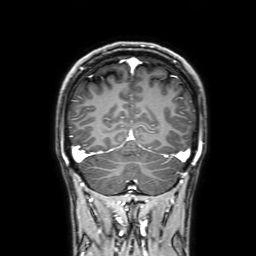
• modality · 3 Tesla brain MRI
• series · 3D T1-weighted with SENSE
• study · ring-enhancing brain masses